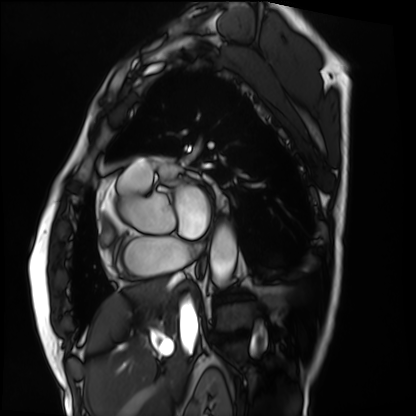
modality — cardiac MRI | subject group — patient.